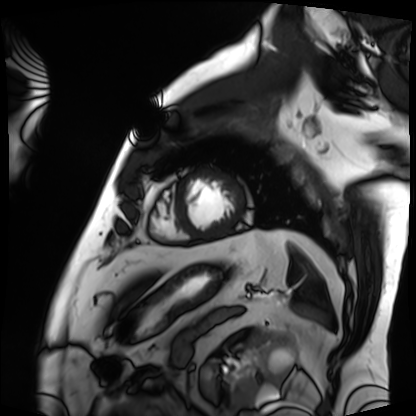
Case:
- modality — cardiac MRI
- subject group — patient